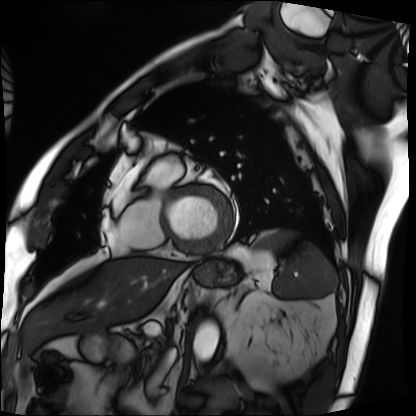
modality: cardiac MRI; subject group: patient.